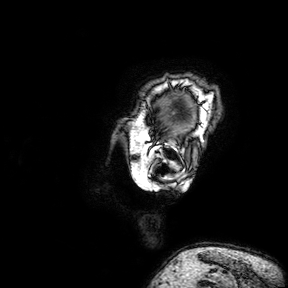
Case:
– modality · 3 Tesla brain MRI
– study · ring-enhancing brain masses